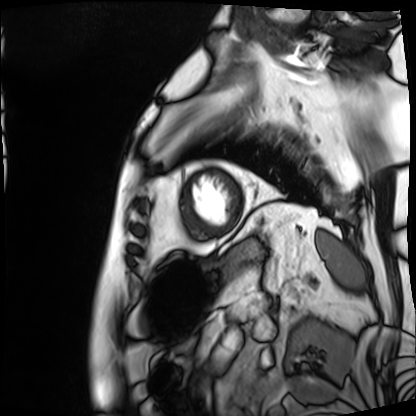
Summary: Cardiac MRI. Subject group: patient.